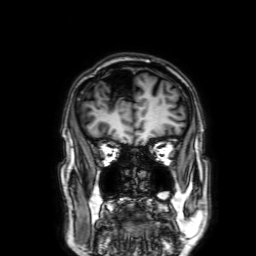
Q: What kind of scan is this?
A: 3 Tesla brain MRI.
Q: Series?
A: 3D T1-weighted with SENSE.
Study: ring-enhancing brain masses.